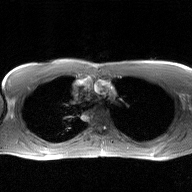
- modality: 2D phase-contrast cine MRI of the ascending aorta, GAN super-resolution reconstruction